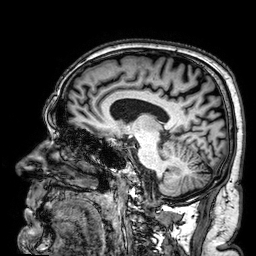
3 Tesla brain MRI. Series: 3D T1-weighted. Study: ring-enhancing brain masses.